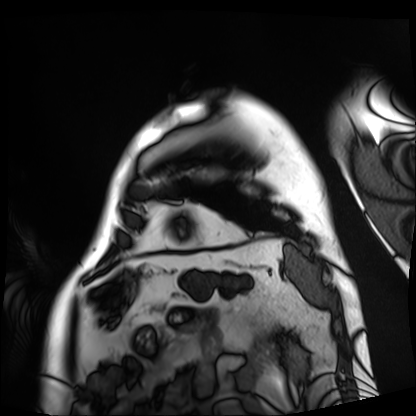
Case:
- modality · cardiac MRI
- subject group · patient